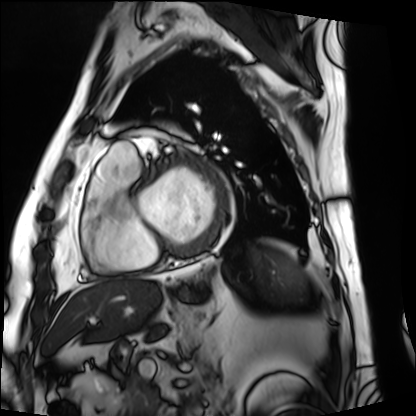
Cardiac MRI. Subject group: patient.